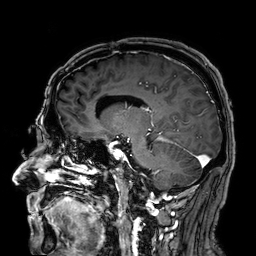
{
  "modality": {
    "type": "brain MRI",
    "field_strength": "3T"
  },
  "study_topic": "ring-enhancing brain masses"
}